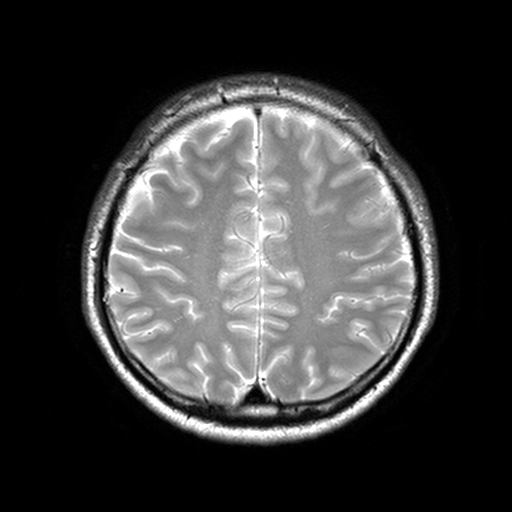
3 Tesla brain MRI.
Series: T2-weighted turbo spin echo, 3 mm.
Study: ring-enhancing brain masses.